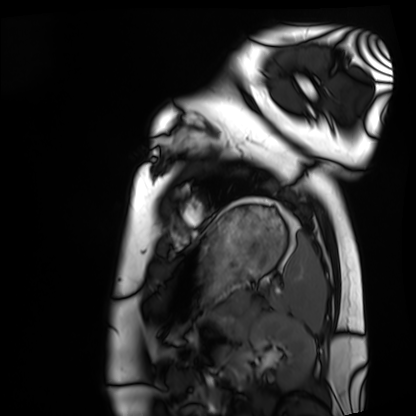
{
  "modality": "cardiac MRI",
  "cohort": "healthy volunteer"
}